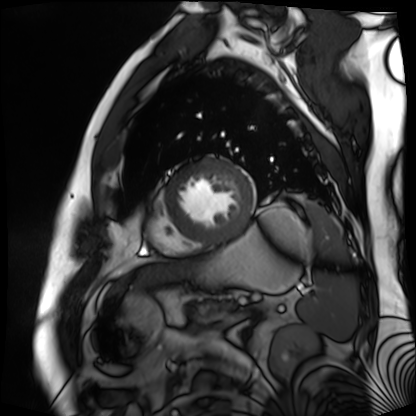
Summary: Cardiac MR image of the myocardium. Subject cohort: cardiac patient.